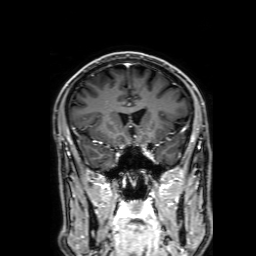
3 Tesla brain MRI. Series: 3D T1-weighted with SENSE. Study: ring-enhancing brain masses.